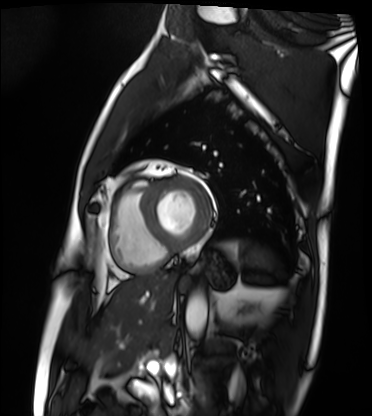
Cardiac MRI. Subject group: patient.